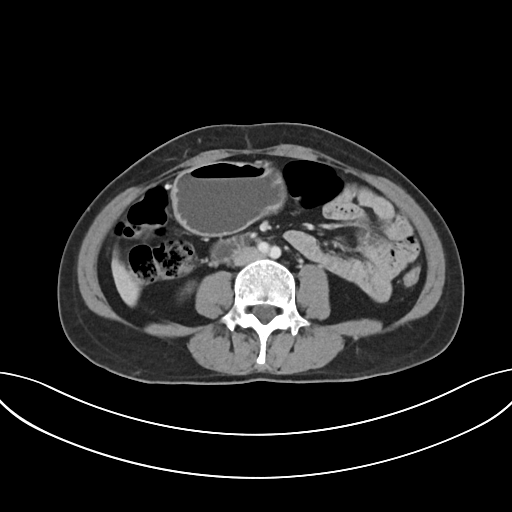
Multiphase abdominal CT, liver, portal venous phase. Patient: female, age 48.